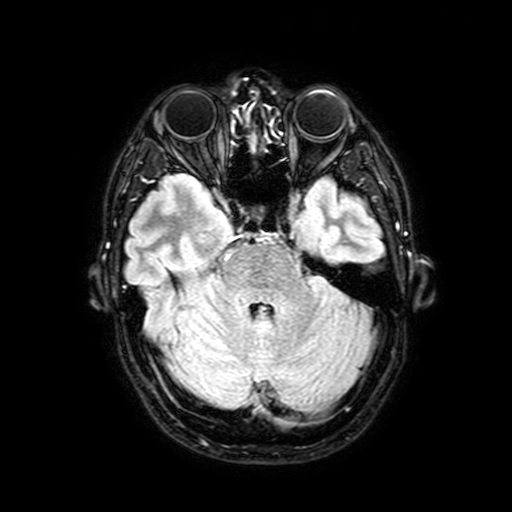
3 Tesla brain MRI.
Series: FLAIR with SPAIR, 3 mm.
Study: ring-enhancing brain masses.